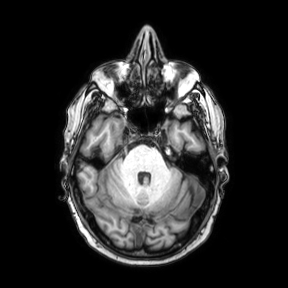
<record>
  <modality>
    <type>brain MRI</type>
    <field_strength>3T</field_strength>
  </modality>
  <series>axial</series>
  <study_topic>ring-enhancing brain masses</study_topic>
</record>